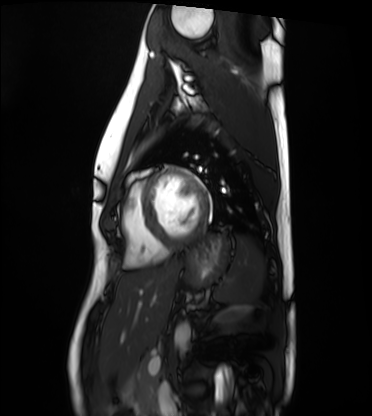
Cardiac MRI.
Subject group: healthy volunteer.